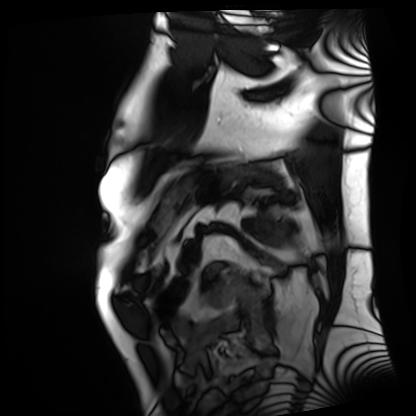
<study>
  <modality>cardiac MRI</modality>
  <cohort>patient</cohort>
</study>